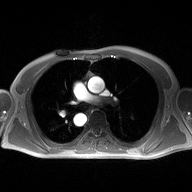
Clinical context:
2D phase-contrast cine MRI of the ascending aorta, high-resolution GRAPPA acquisition.